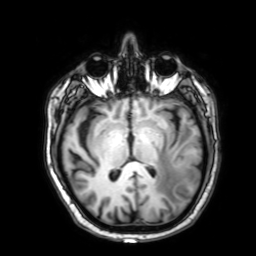
modality: 3 Tesla brain MRI; series: 3D T1-weighted with SENSE; study: ring-enhancing brain masses.